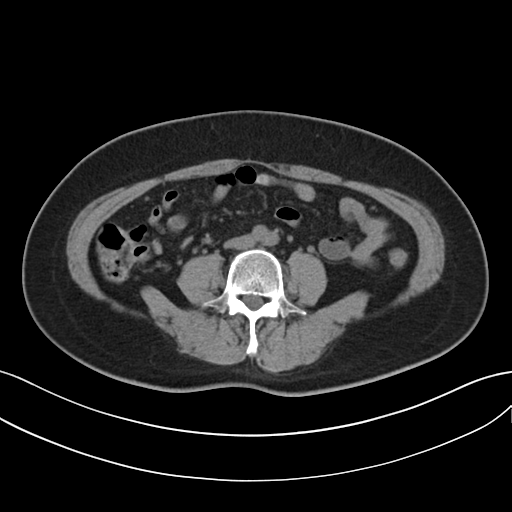
  modality:
    type: multiphase abdominal CT
    region: liver
    phase: non-contrast
  patient:
    sex: female
    age: 55